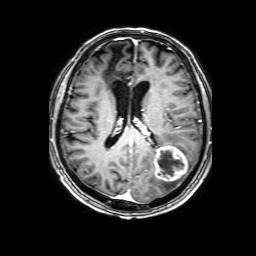
Clinical context:
3 Tesla brain MRI. Series: 3D T1-weighted with SENSE. Study: ring-enhancing brain masses.